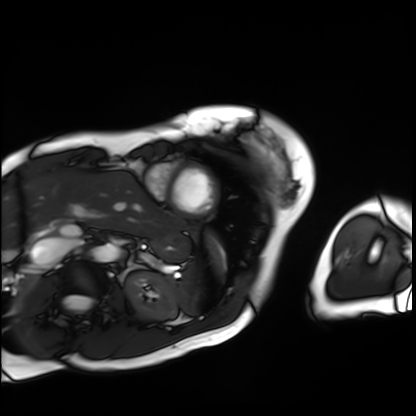
Summary: Cardiac MRI. Subject group: patient.